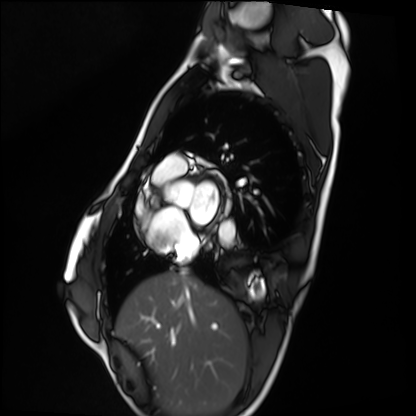
Summary: Cardiac MRI. Subject group: healthy volunteer.